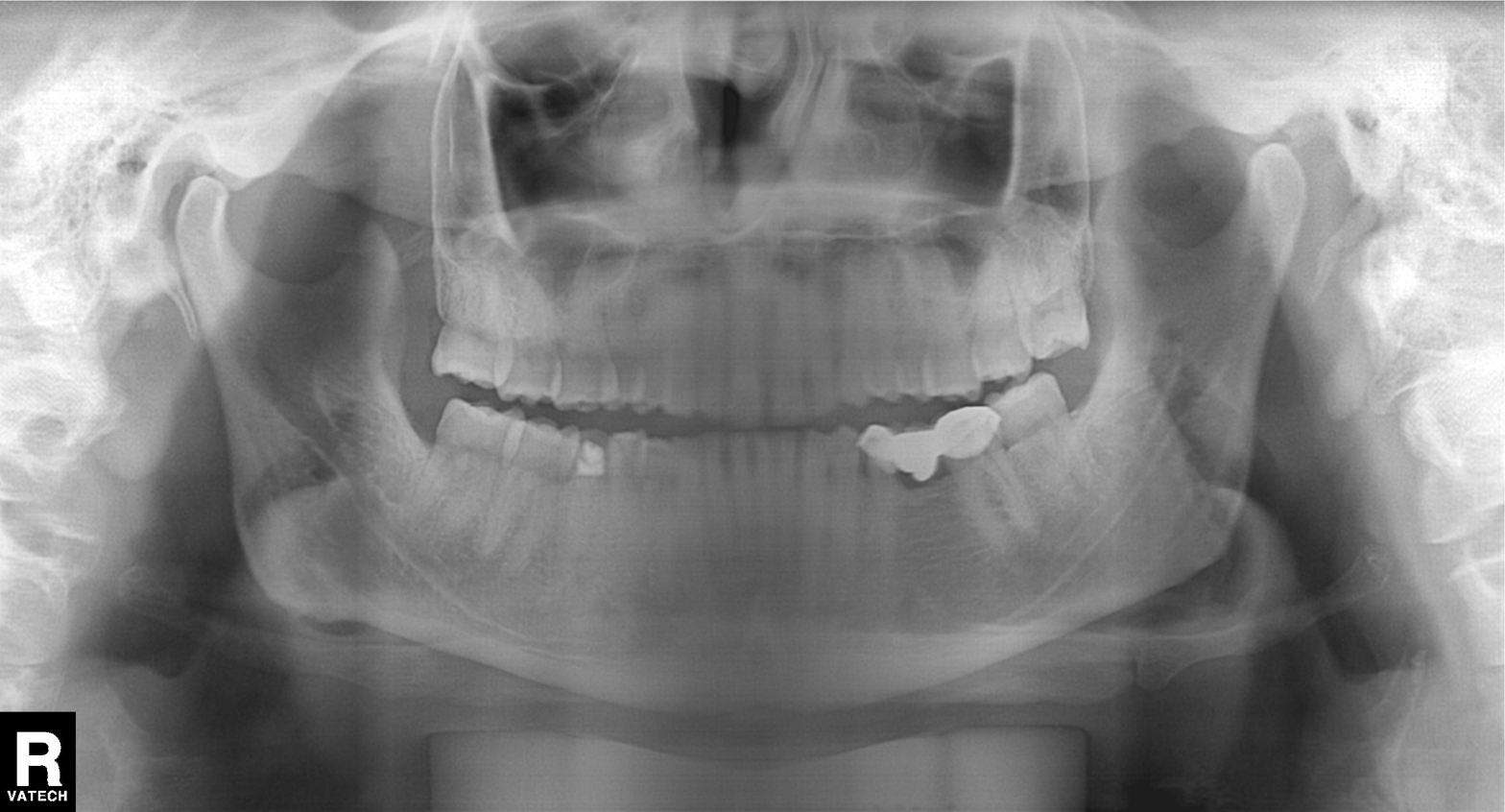
Panoramic dental radiograph (orthopantomogram). Finding: dental caries (cavities).